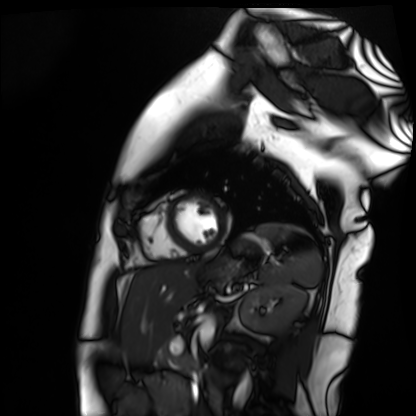
Cardiac MR image of the myocardium.
Subject cohort: healthy volunteer.